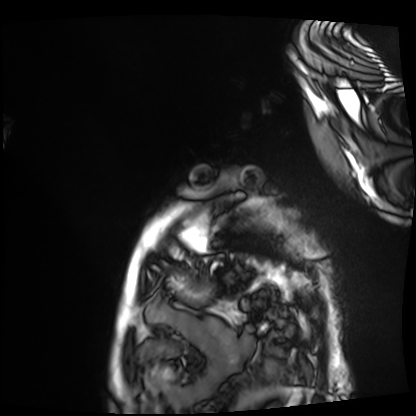
Cardiac MRI.
Subject group: patient.